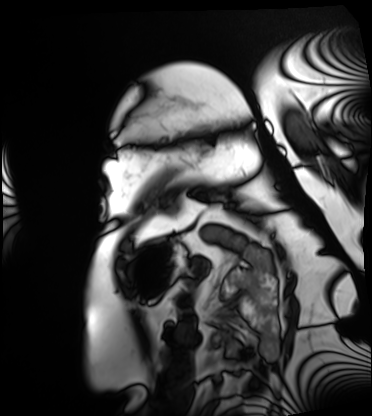
- modality — cardiac MRI
- subject group — patient